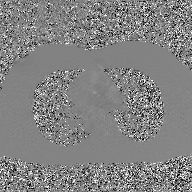
modality = 2D phase-contrast cine MRI of the ascending aorta, GAN super-resolution reconstruction